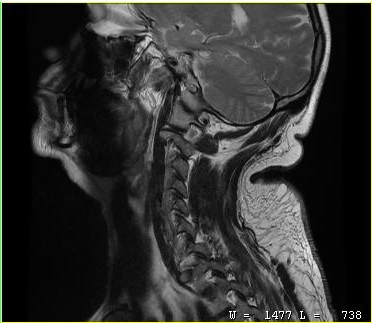
modality:
  type: cervical spine MRI
study_topic: cervical spondylosis